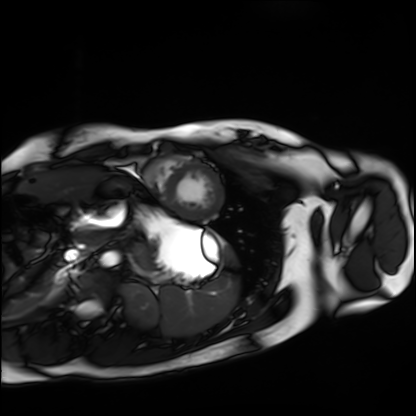
Cardiac MRI.
Subject group: healthy volunteer.